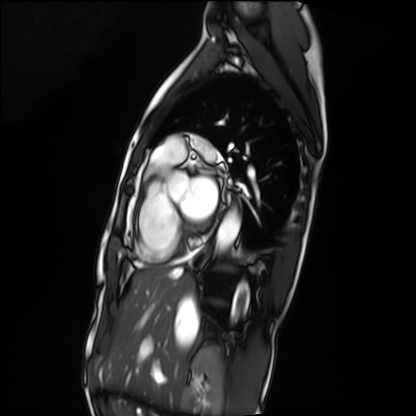
Summary: Cardiac MRI. Subject group: patient.